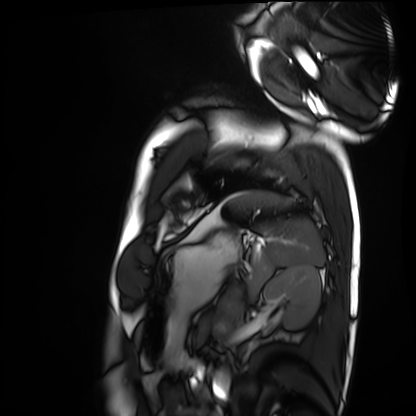
Cardiac MRI. Subject group: healthy volunteer.